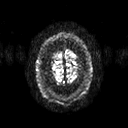
<study>
<modality>
  <type>brain MRI</type>
  <field_strength>3T</field_strength>
</modality>
<series>diffusion tensor imaging (medium iso)</series>
<study_topic>ring-enhancing brain masses</study_topic>
</study>